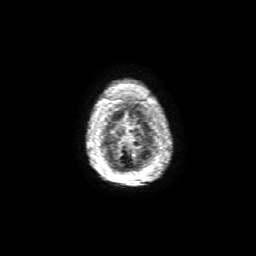
| field | value |
|---|---|
| modality | 3 Tesla brain MRI |
| series | 3D T1-weighted with SENSE |
| study | ring-enhancing brain masses |